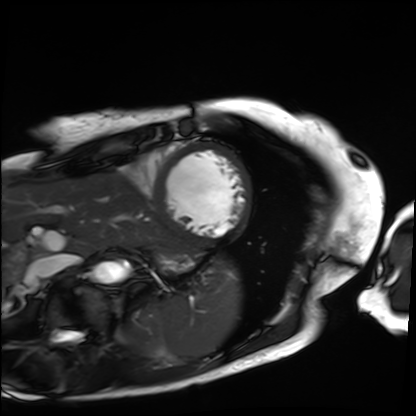
modality: cardiac MRI, subject group: patient.